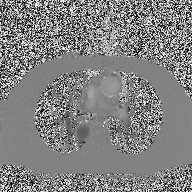
<case>
<modality>
  <type>2D phase-contrast cine MRI</type>
  <region>ascending aorta</region>
  <reconstruction>high-resolution GRAPPA acquisition</reconstruction>
</modality>
</case>